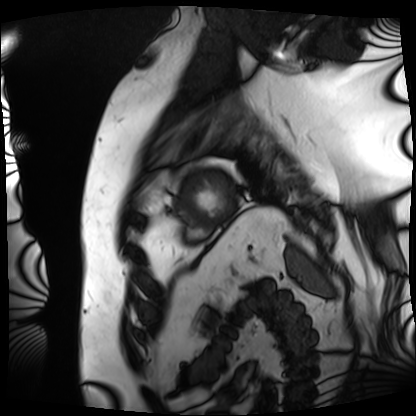
Clinical context:
Cardiac MRI. Subject group: patient.